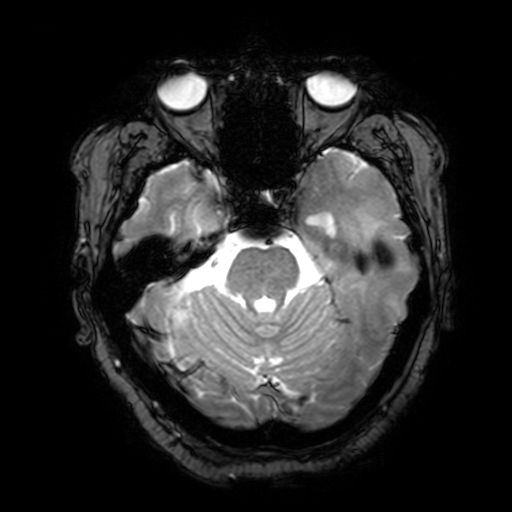
modality:
  type: brain MRI
  field_strength: 3T
series: T2-weighted fast field echo with SENSE
study_topic: ring-enhancing brain masses